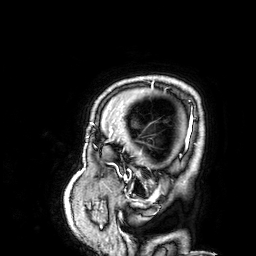
3 Tesla brain MRI. Series: 3D T1-weighted. Study: ring-enhancing brain masses.